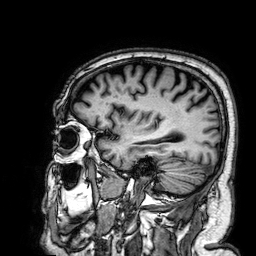
- modality: 3 Tesla brain MRI
- series: 3D T1-weighted
- study: ring-enhancing brain masses